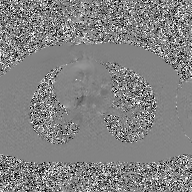
Q: What kind of scan is this?
A: 2D phase-contrast cine MRI of the ascending aorta, GAN super-resolution reconstruction.